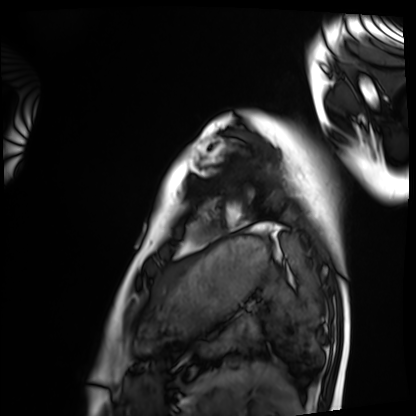
* modality · cardiac MRI
* subject group · healthy volunteer